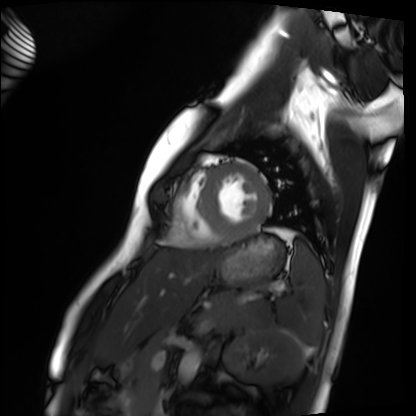
Q: What kind of scan is this?
A: Cardiac MRI.
Subject group: healthy volunteer.